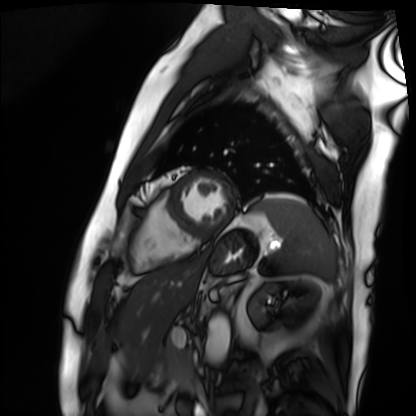
Cardiac MRI.
Subject group: patient.